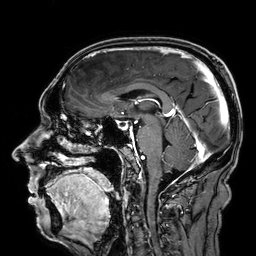
<study>
<modality>
  <type>brain MRI</type>
  <field_strength>3T</field_strength>
</modality>
<series>3D T1-weighted</series>
<study_topic>ring-enhancing brain masses</study_topic>
</study>